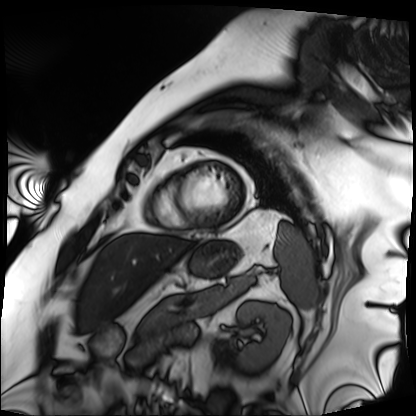
{
  "modality": "cardiac MRI",
  "cohort": "patient"
}